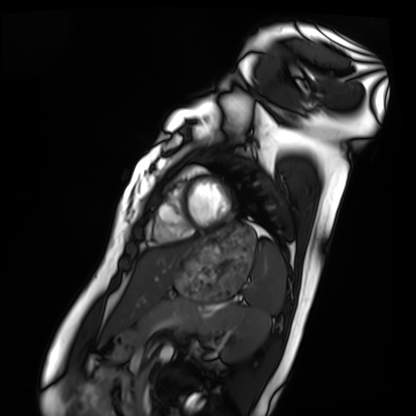
modality = cardiac MRI | subject group = healthy volunteer.